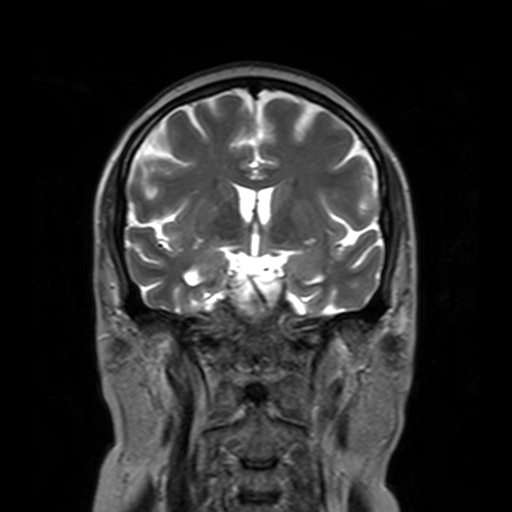
Case summary: 3 Tesla brain MRI. Series: T2-weighted turbo spin echo with SENSE. Study: ring-enhancing brain masses.